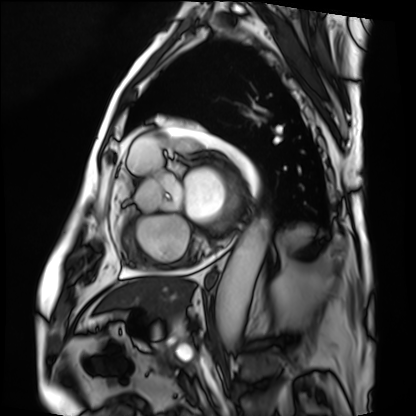
{"modality": "cardiac MRI", "cohort": "patient"}